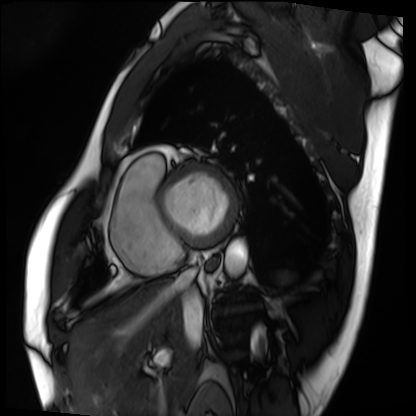
Cardiac MRI. Subject group: patient.